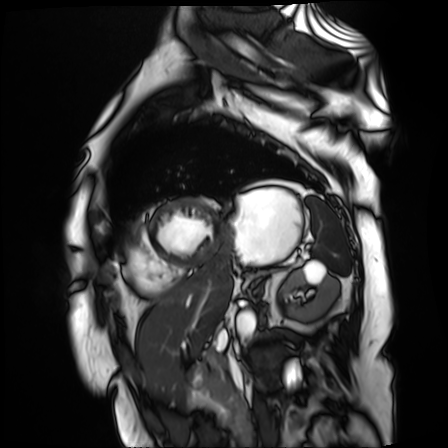
<study>
  <modality>cardiac MR image of the myocardium</modality>
  <cohort>cardiac patient</cohort>
</study>